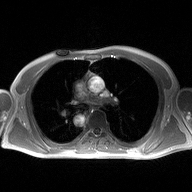
modality = 2D phase-contrast cine MRI of the ascending aorta.